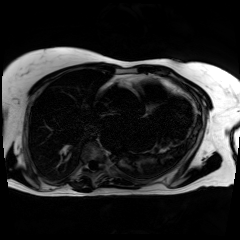
  modality: chemical-shift-encoded cardiac MRI